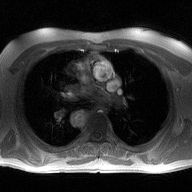
2D phase-contrast cine MRI of the ascending aorta, high-resolution GRAPPA acquisition.